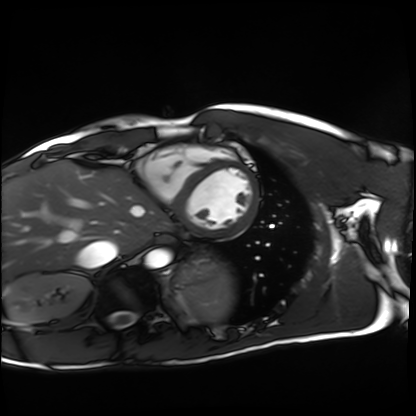
| field | value |
|---|---|
| modality | cardiac MRI |
| subject group | healthy volunteer |